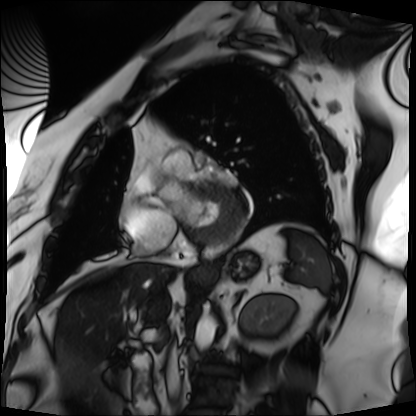
Cardiac MRI.
Subject group: patient.